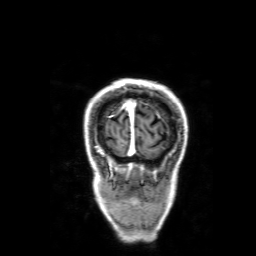
3 Tesla brain MRI. Series: 3D T1-weighted with SENSE. Study: ring-enhancing brain masses.